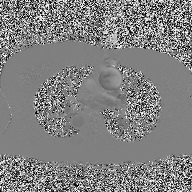
Q: What kind of scan is this?
A: 2D phase-contrast cine MRI of the ascending aorta.